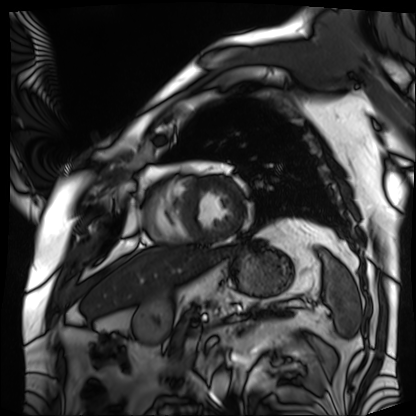
Cardiac MRI. Subject group: patient.